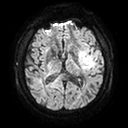
Case summary:
3 Tesla brain MRI. Series: diffusion tensor imaging (medium iso). Study: ring-enhancing brain masses.